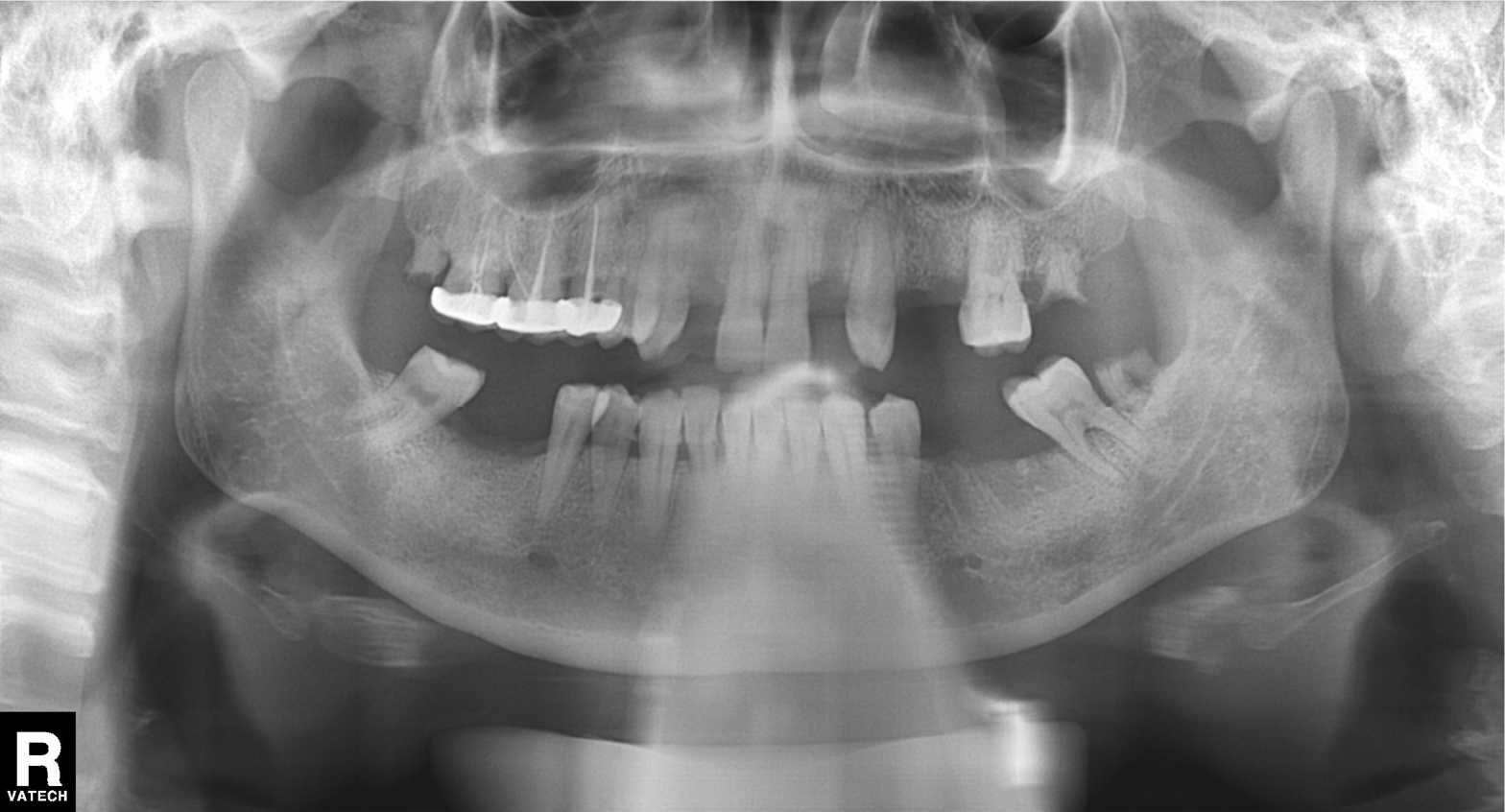
Panoramic dental radiograph (orthopantomogram). Finding: tooth impaction.